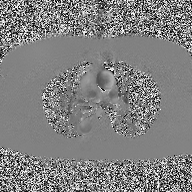
modality = 2D phase-contrast cine MRI of the ascending aorta.